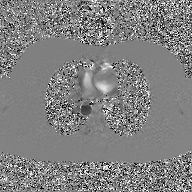
2D phase-contrast cine MRI of the ascending aorta, GAN super-resolution reconstruction.